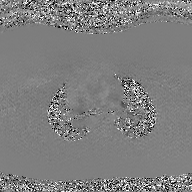
Q: What kind of scan is this?
A: 2D phase-contrast cine MRI of the ascending aorta, GAN super-resolution reconstruction.